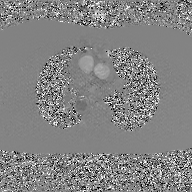
Summary: 2D phase-contrast cine MRI of the ascending aorta, GAN super-resolution reconstruction.